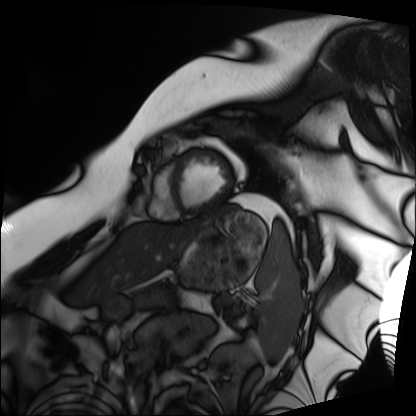
Cardiac MRI.
Subject group: patient.